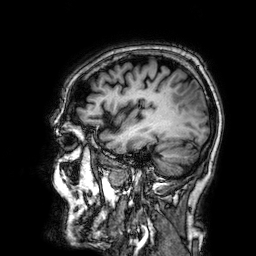
Q: What kind of scan is this?
A: 3 Tesla brain MRI.
Q: Series?
A: 3D T1-weighted.
Study: ring-enhancing brain masses.